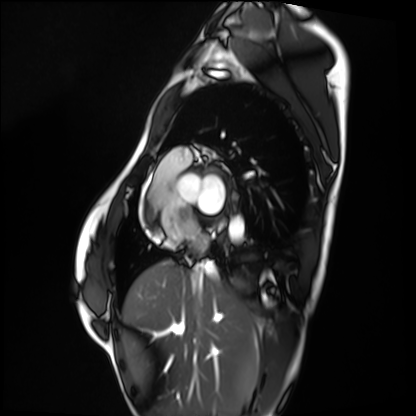
* modality — cardiac MRI
* subject group — healthy volunteer